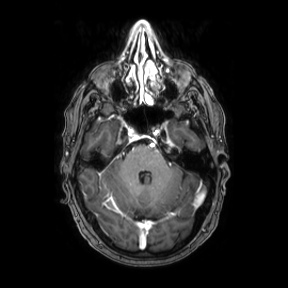
modality: 3 Tesla brain MRI | series: axial | study: ring-enhancing brain masses.